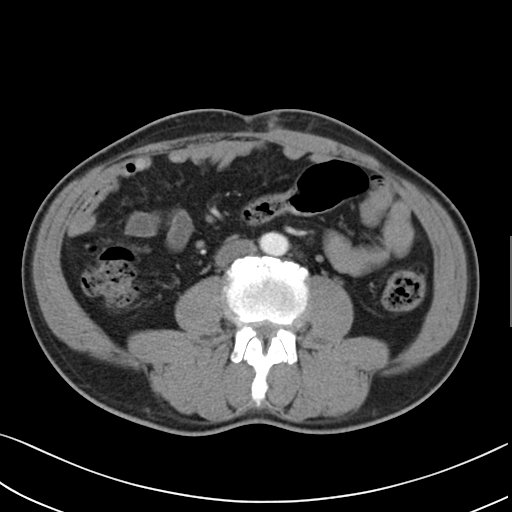
Multiphase abdominal CT, liver, arterial phase. Patient: male, age 58.